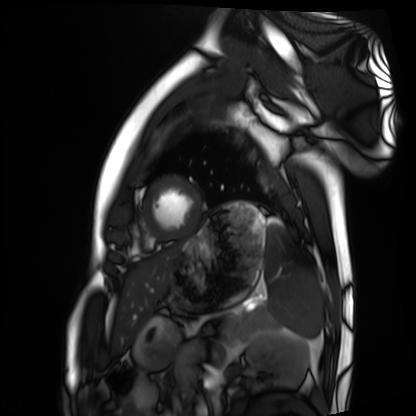
modality: cardiac MRI; subject group: healthy volunteer.